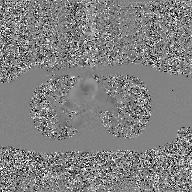
modality — 2D phase-contrast cine MRI of the ascending aorta, GAN super-resolution reconstruction.